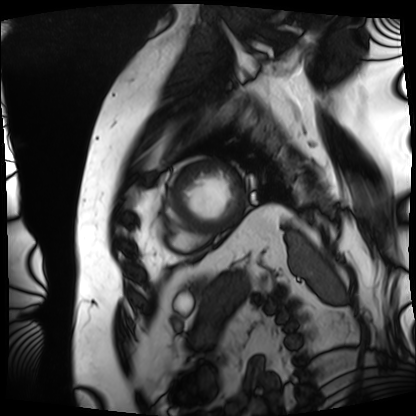
modality=cardiac MRI | subject group=patient.